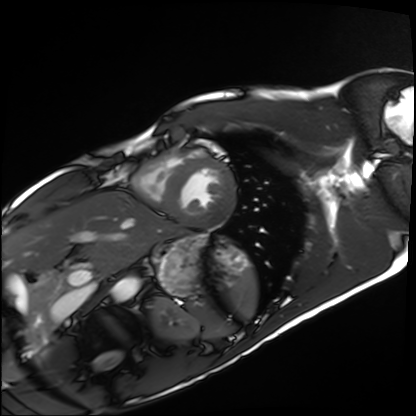
modality: cardiac MRI | subject group: healthy volunteer.